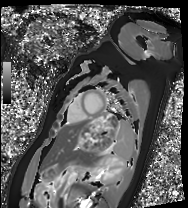
Summary: Cardiac MRI. Subject group: healthy volunteer.